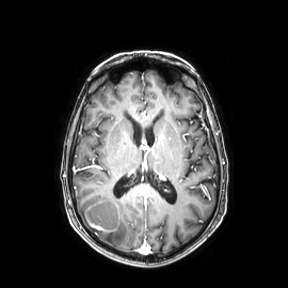
– modality — 3 Tesla brain MRI
– series — axial
– study — ring-enhancing brain masses